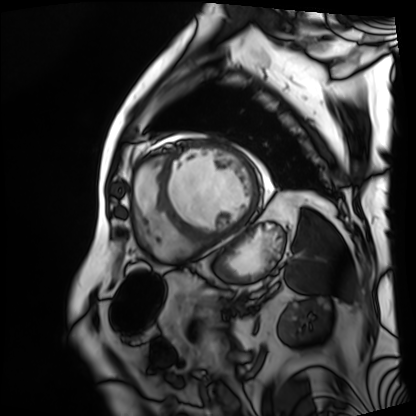
Case:
- modality: cardiac MRI
- subject group: patient